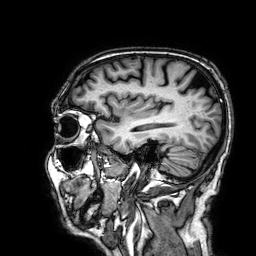
3 Tesla brain MRI. Series: 3D T1-weighted. Study: ring-enhancing brain masses.